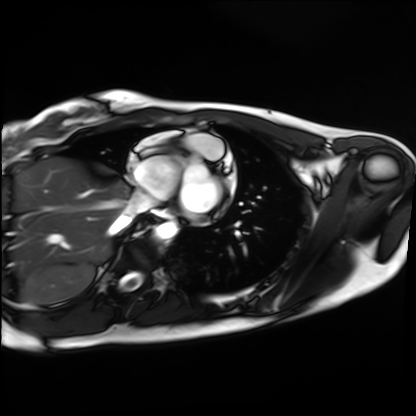
Q: What kind of scan is this?
A: Cardiac MRI.
Subject group: healthy volunteer.